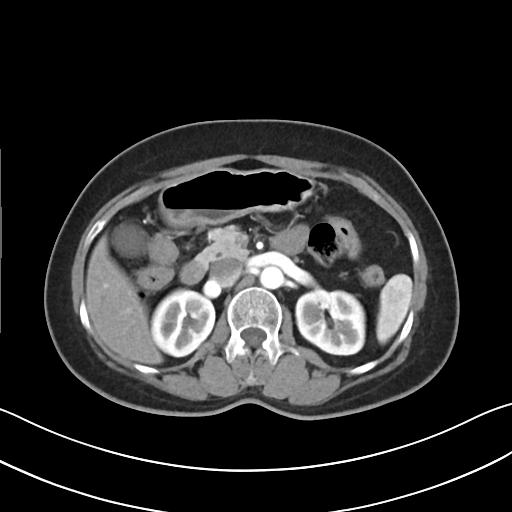
Multiphase abdominal CT, liver, arterial phase. Patient: female, age 55. History: prior chemotherapy.